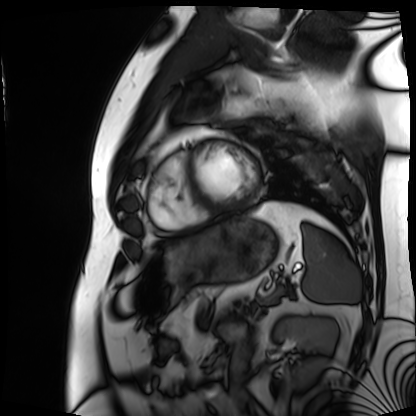
Cardiac MRI. Subject group: patient.